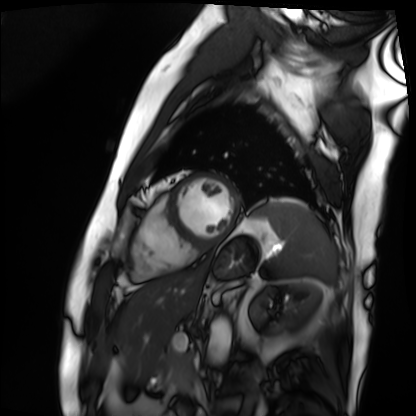
Cardiac MRI.
Subject group: patient.